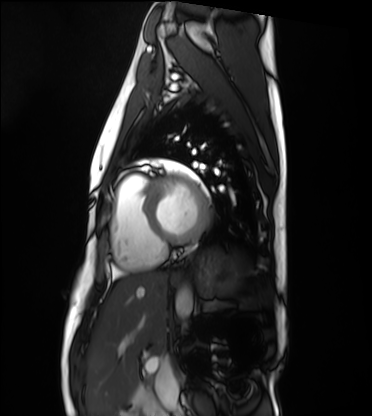
Case:
* modality: cardiac MRI
* subject group: healthy volunteer